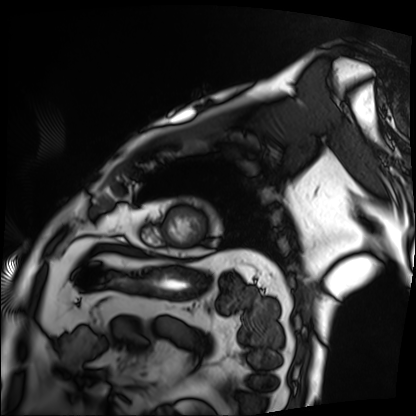
{"modality": "cardiac MRI", "cohort": "patient"}